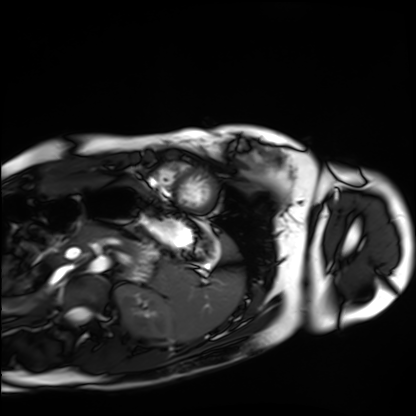
{"modality": "cardiac MRI", "cohort": "healthy volunteer"}